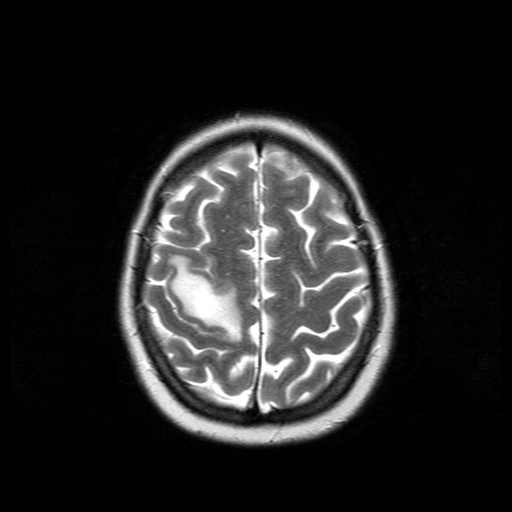
modality: 3 Tesla brain MRI | study: ring-enhancing brain masses.